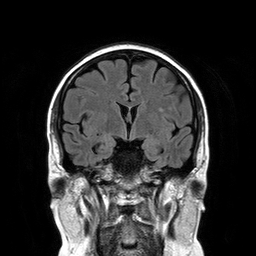
modality:
  type: brain MRI
  field_strength: 3T
series: T2-weighted FLAIR
study_topic: ring-enhancing brain masses